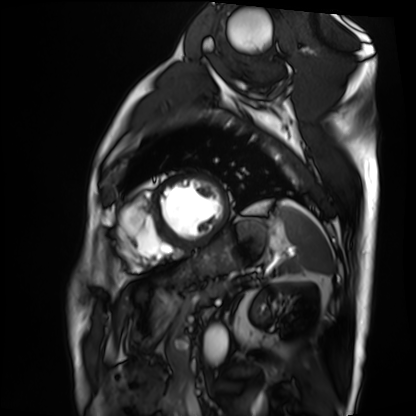
Cardiac MRI. Subject group: patient.